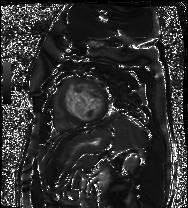
Case summary:
Cardiac MR image of the myocardium. Subject cohort: cardiac patient.